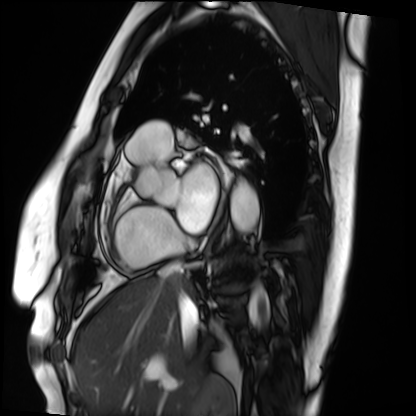
modality=cardiac MRI | subject group=patient.